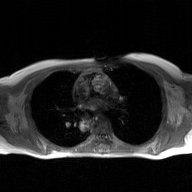
2D phase-contrast cine MRI of the ascending aorta, GAN super-resolution reconstruction.